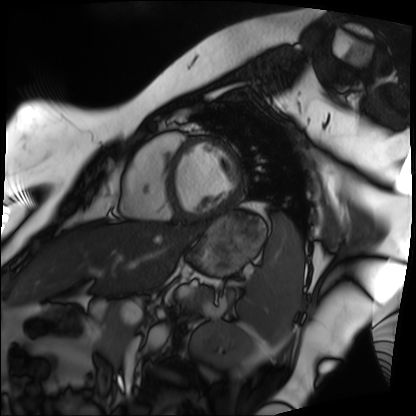
Clinical context: Cardiac MRI. Subject group: patient.